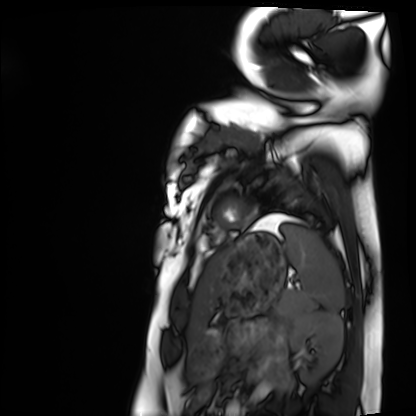
Summary:
Cardiac MRI. Subject group: healthy volunteer.